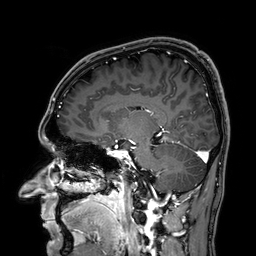
Case summary:
3 Tesla brain MRI. Series: 3D T1-weighted. Study: ring-enhancing brain masses.